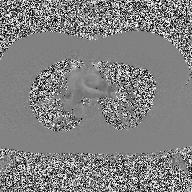
- modality: 2D phase-contrast cine MRI of the ascending aorta